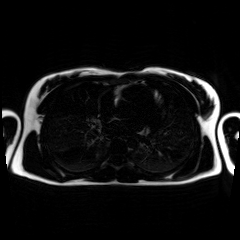
Chemical-shift-encoded cardiac MRI.